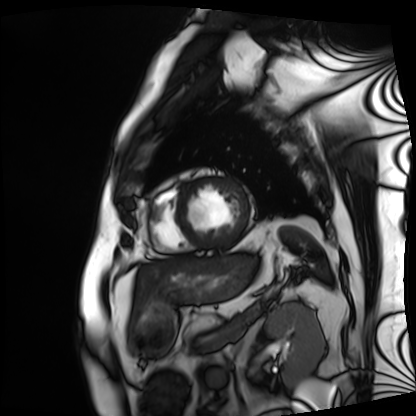
| field | value |
|---|---|
| modality | cardiac MRI |
| subject group | patient |